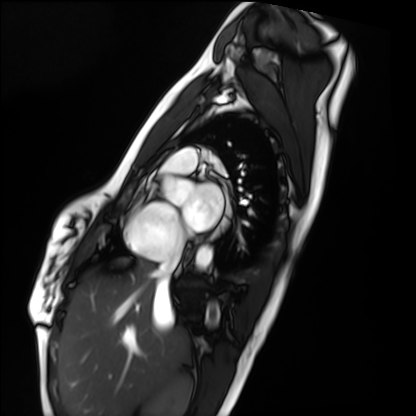
Summary:
Cardiac MRI. Subject group: healthy volunteer.